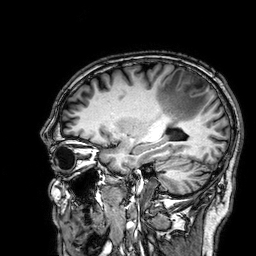
Q: What kind of scan is this?
A: 3 Tesla brain MRI.
Q: Series?
A: 3D T1-weighted.
Study: ring-enhancing brain masses.